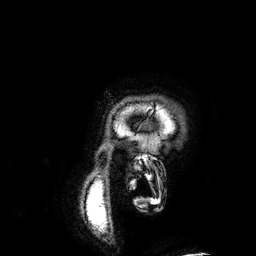
3 Tesla brain MRI. Series: 3D T1-weighted. Study: ring-enhancing brain masses.